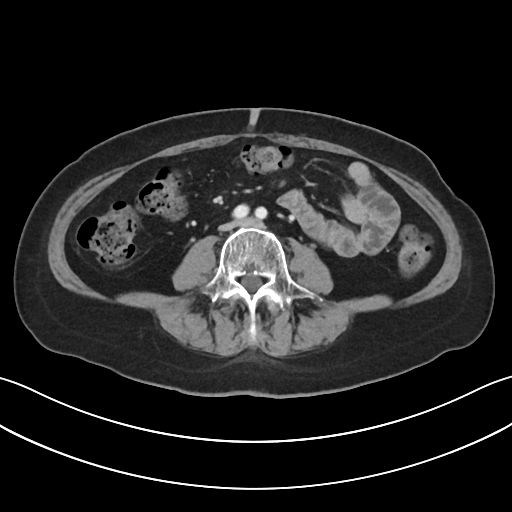
Multiphase abdominal CT, liver, portal venous phase. Patient: female, age 61. History: prior chemotherapy.